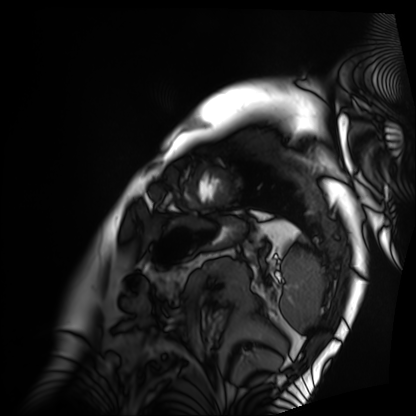
Cardiac MRI.
Subject group: patient.